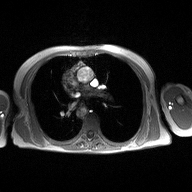
{
  "modality": {
    "type": "2D phase-contrast cine MRI",
    "region": "ascending aorta",
    "reconstruction": "high-resolution GRAPPA acquisition"
  }
}